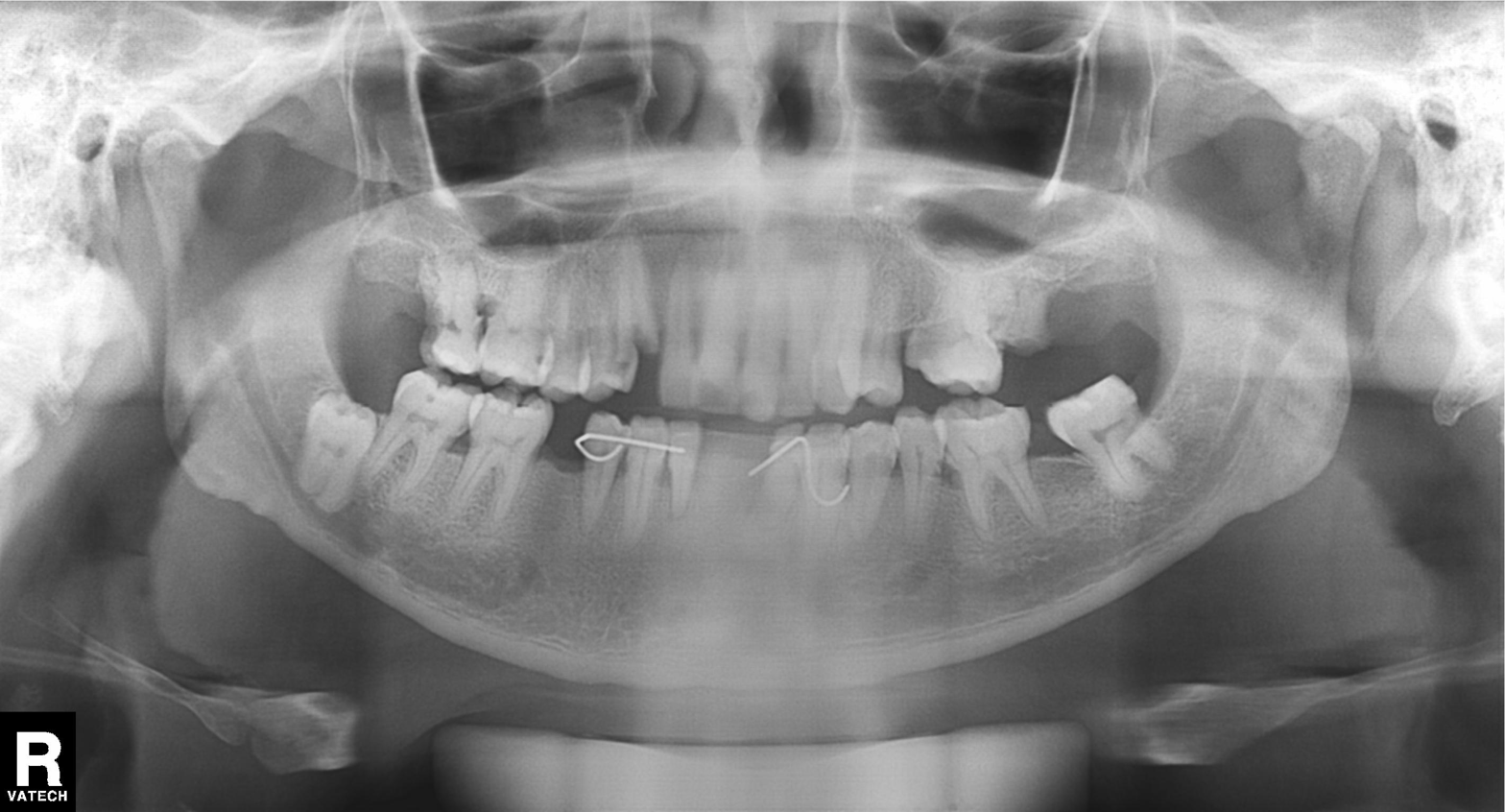
<record>
  <modality>panoramic dental radiograph (orthopantomogram)</modality>
  <finding>alveolar bone loss</finding>
</record>